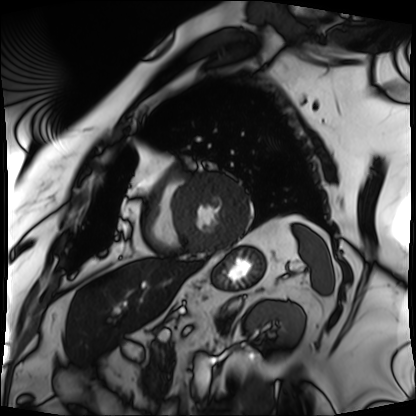
modality: cardiac MRI
cohort: patient